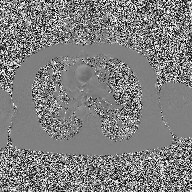
Q: What kind of scan is this?
A: 2D phase-contrast cine MRI of the ascending aorta.